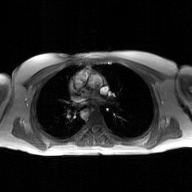
Summary: 2D phase-contrast cine MRI of the ascending aorta, GAN super-resolution reconstruction.